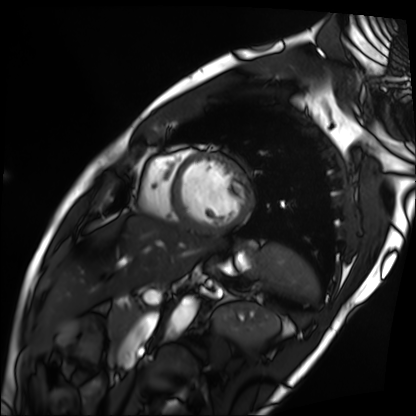
{
  "modality": "cardiac MRI",
  "cohort": "patient"
}